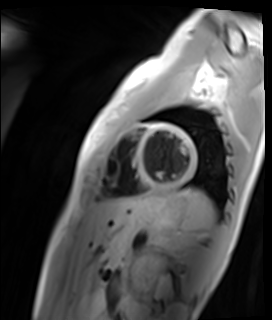
Cardiac MR image of the myocardium.
Subject cohort: healthy volunteer.